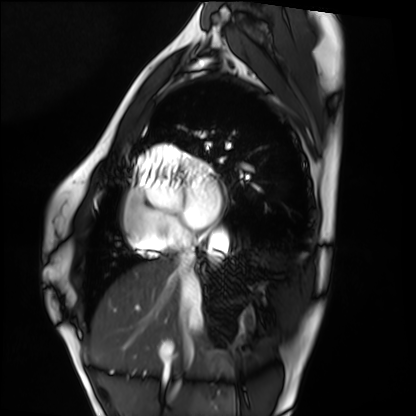
Cardiac MRI.
Subject group: healthy volunteer.